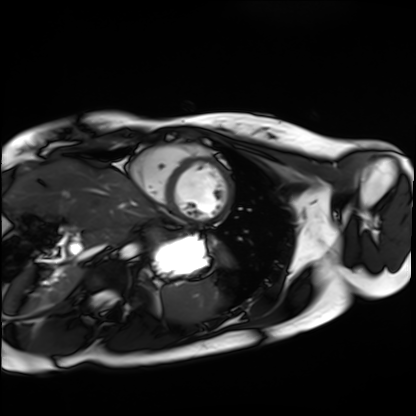
Cardiac MRI. Subject group: healthy volunteer.